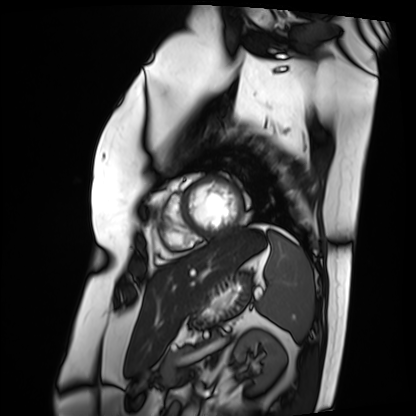
Cardiac MRI.
Subject group: patient.